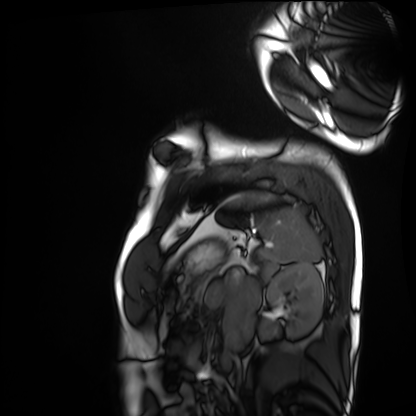
Q: What kind of scan is this?
A: Cardiac MRI.
Subject group: healthy volunteer.